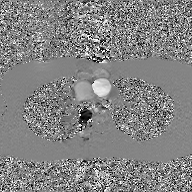
Q: What kind of scan is this?
A: 2D phase-contrast cine MRI of the ascending aorta, GAN super-resolution reconstruction.